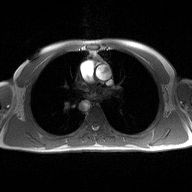
Case summary: 2D phase-contrast cine MRI of the ascending aorta, high-resolution GRAPPA acquisition.